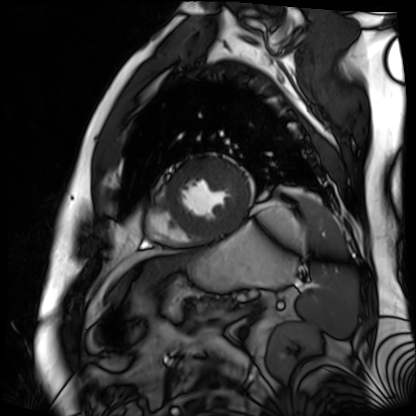
Cardiac MR image of the myocardium. Subject cohort: cardiac patient.